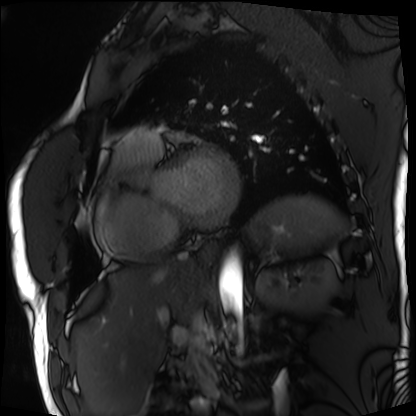
Q: What kind of scan is this?
A: Cardiac MRI.
Subject group: patient.